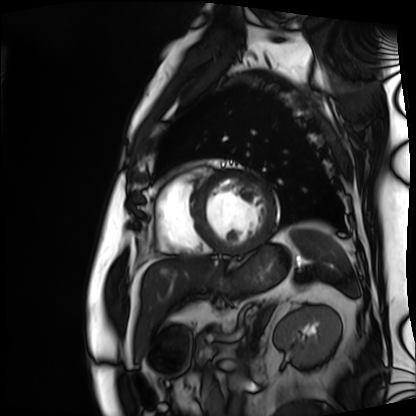
modality = cardiac MRI; subject group = patient.